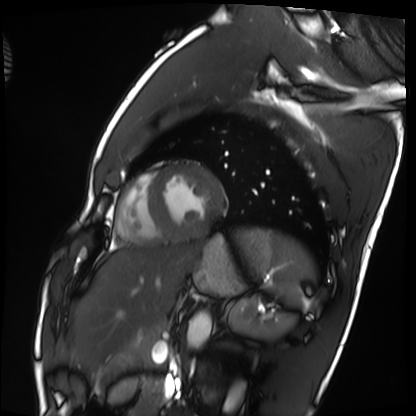
Cardiac MRI.
Subject group: healthy volunteer.